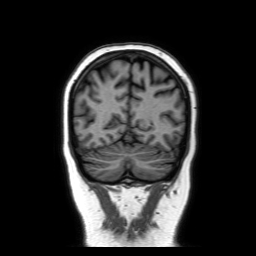
• modality — 3 Tesla brain MRI
• series — coronal without contrast
• study — ring-enhancing brain masses